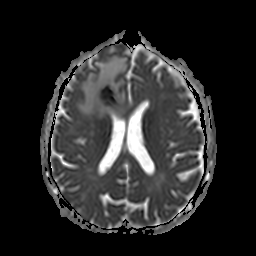
{
  "modality": {
    "type": "brain MRI",
    "field_strength": "3T"
  },
  "study_topic": "ring-enhancing brain masses"
}